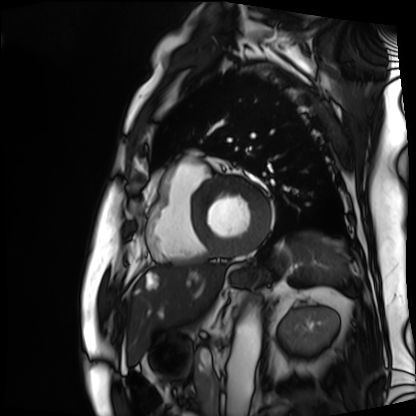
Cardiac MRI. Subject group: patient.